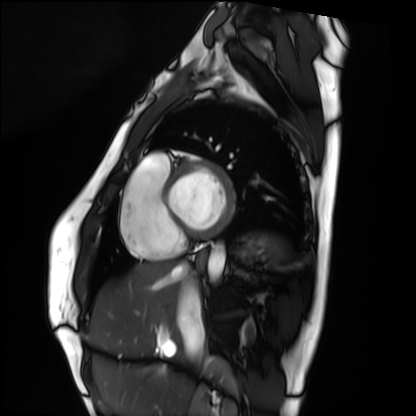
Q: What kind of scan is this?
A: Cardiac MRI.
Subject group: healthy volunteer.